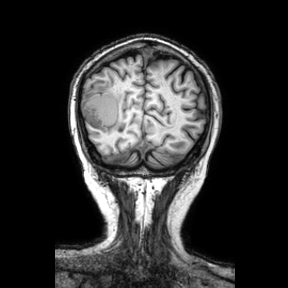
Q: What kind of scan is this?
A: 3 Tesla brain MRI.
Q: Series?
A: Coronal.
Study: ring-enhancing brain masses.